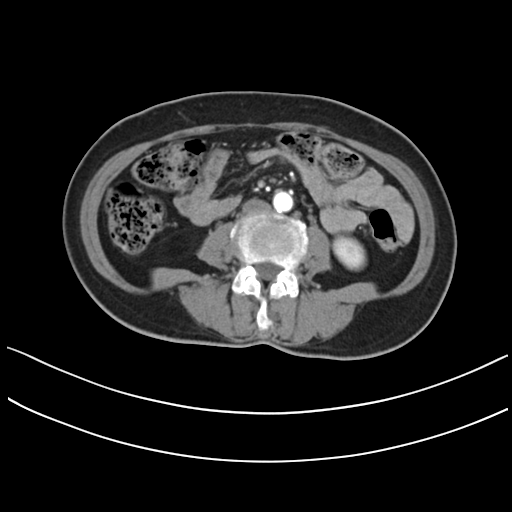
Q: What kind of scan is this?
A: Multiphase abdominal CT, liver, arterial phase.
Q: Patient?
A: Female, age 61.